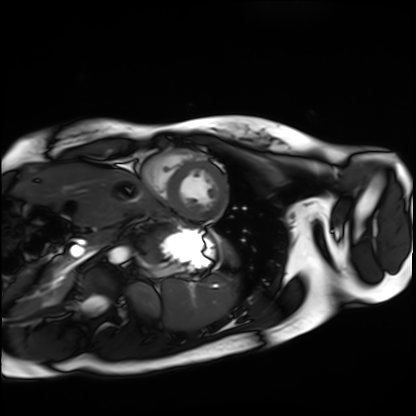
{"modality": "cardiac MRI", "cohort": "healthy volunteer"}